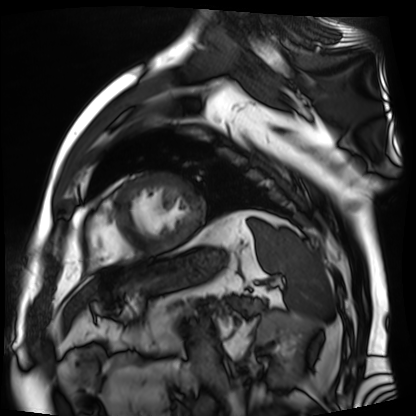
Cardiac MR image of the myocardium. Subject cohort: cardiac patient.